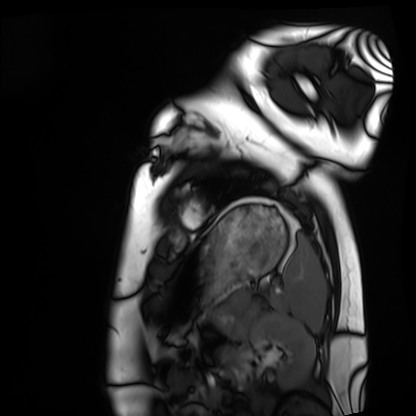
modality = cardiac MRI
subject group = healthy volunteer